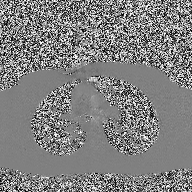
2D phase-contrast cine MRI of the ascending aorta, high-resolution GRAPPA acquisition.